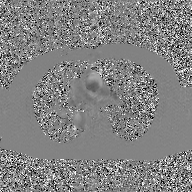
Summary:
2D phase-contrast cine MRI of the ascending aorta, GAN super-resolution reconstruction.